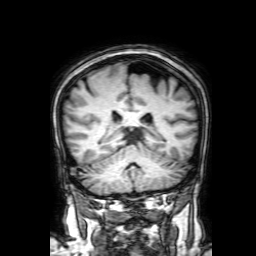
Summary: 3 Tesla brain MRI. Series: 3D T1-weighted with SENSE. Study: ring-enhancing brain masses.